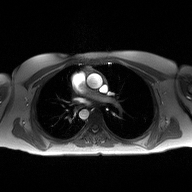
Q: What kind of scan is this?
A: 2D phase-contrast cine MRI of the ascending aorta.